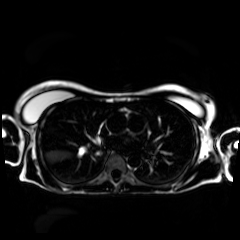
modality — chemical-shift-encoded cardiac MRI